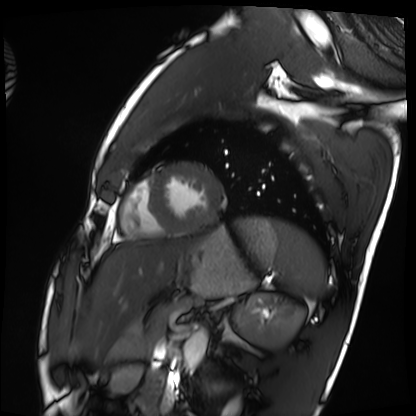
- modality · cardiac MRI
- subject group · healthy volunteer